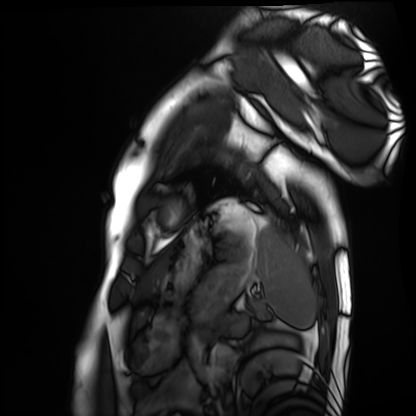
Case summary: Cardiac MRI. Subject group: healthy volunteer.